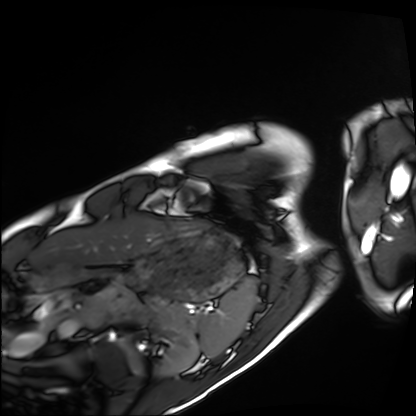
<scan>
<modality>cardiac MRI</modality>
<cohort>healthy volunteer</cohort>
</scan>